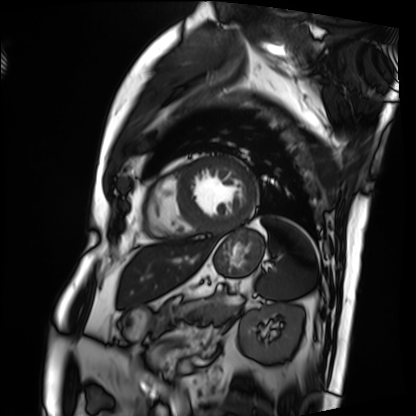
modality = cardiac MRI | subject group = patient.